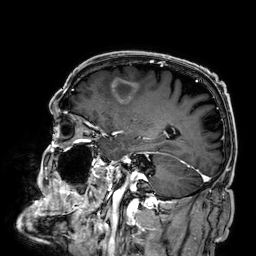
Summary: 3 Tesla brain MRI. Series: 3D T1-weighted. Study: ring-enhancing brain masses.